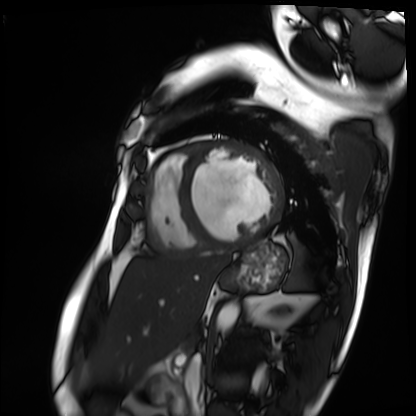
modality: cardiac MRI
subject group: patient